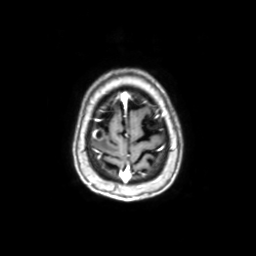
Q: What kind of scan is this?
A: 3 Tesla brain MRI.
Q: Series?
A: Axial with contrast.
Study: ring-enhancing brain masses.